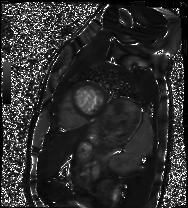
modality = cardiac MRI | subject group = healthy volunteer.